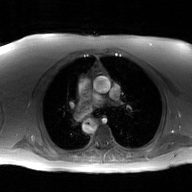
{
  "modality": {
    "type": "2D phase-contrast cine MRI",
    "region": "ascending aorta",
    "reconstruction": "GAN super-resolution reconstruction"
  }
}